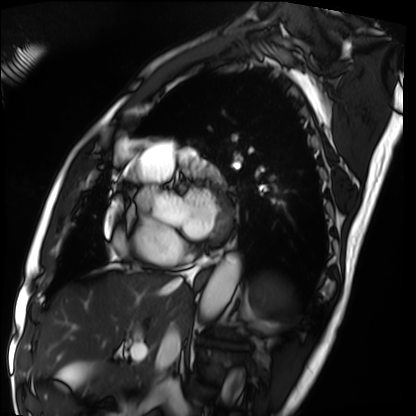
Cardiac MRI. Subject group: patient.